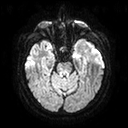
modality = 3 Tesla brain MRI; series = diffusion tensor imaging (medium iso); study = ring-enhancing brain masses.